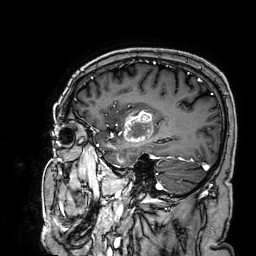
modality: 3 Tesla brain MRI; series: 3D T1-weighted; study: ring-enhancing brain masses.